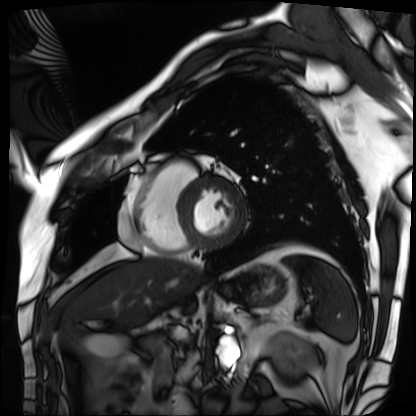
{
  "modality": "cardiac MRI",
  "cohort": "patient"
}